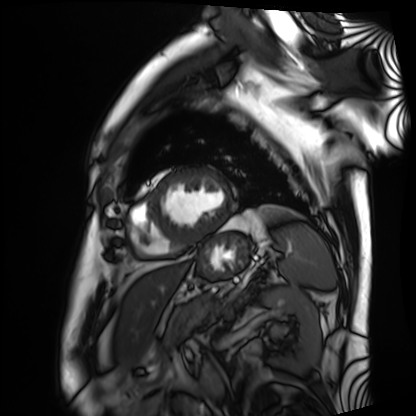
{"modality": "cardiac MRI", "cohort": "patient"}